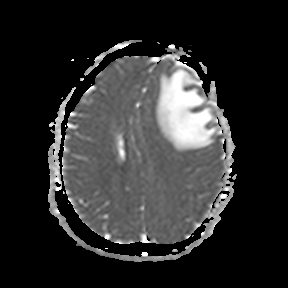
3 Tesla brain MRI.
Series: apparent diffusion coefficient (ADC) map.
Study: ring-enhancing brain masses.